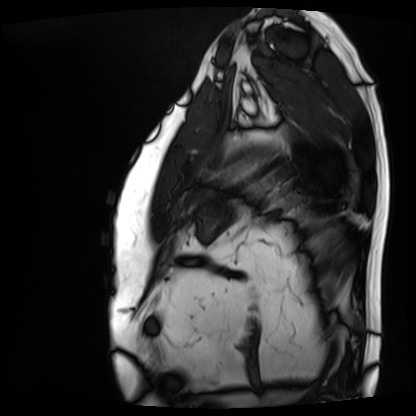
modality = cardiac MRI
subject group = patient